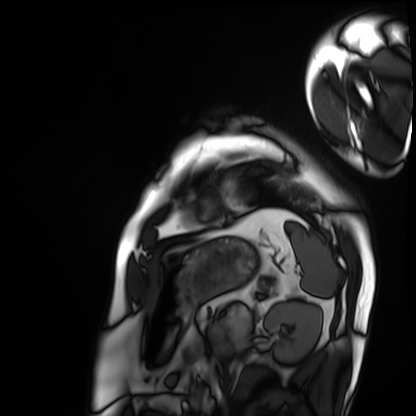
<record>
<modality>cardiac MRI</modality>
<cohort>patient</cohort>
</record>